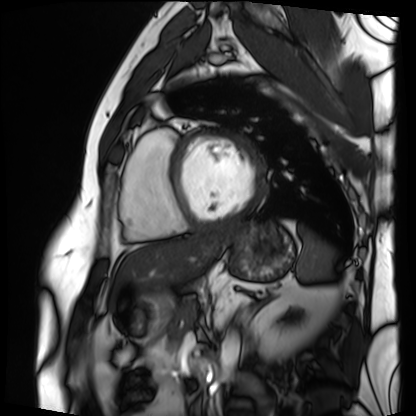
Q: What kind of scan is this?
A: Cardiac MRI.
Subject group: patient.